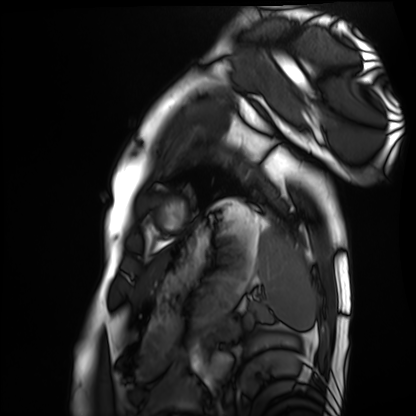
Clinical context:
Cardiac MRI. Subject group: healthy volunteer.